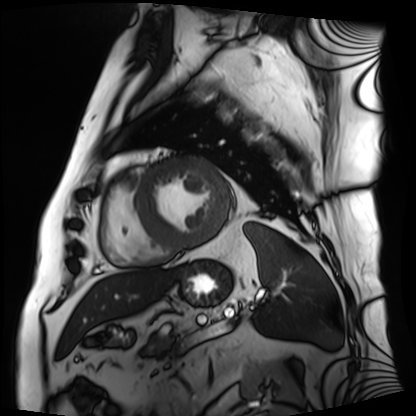
Cardiac MRI.
Subject group: patient.